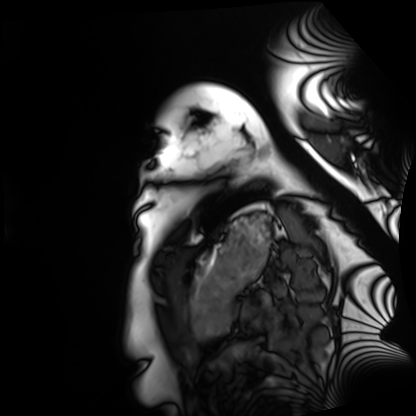
Summary: Cardiac MRI. Subject group: healthy volunteer.